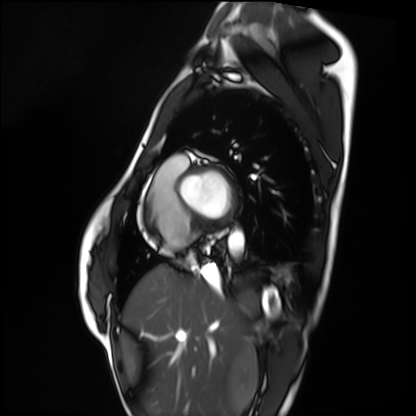
Q: What kind of scan is this?
A: Cardiac MRI.
Subject group: healthy volunteer.